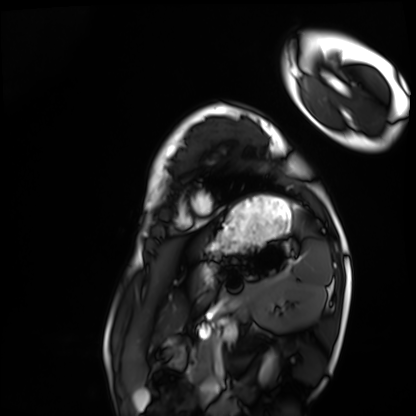
| field | value |
|---|---|
| modality | cardiac MRI |
| subject group | healthy volunteer |